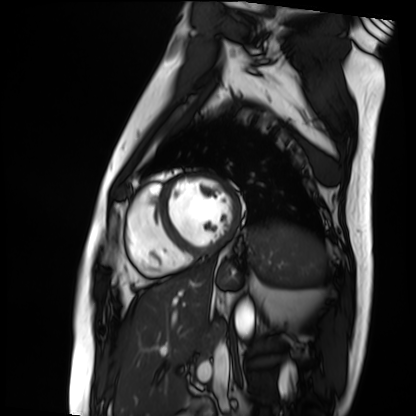
Cardiac MRI.
Subject group: patient.